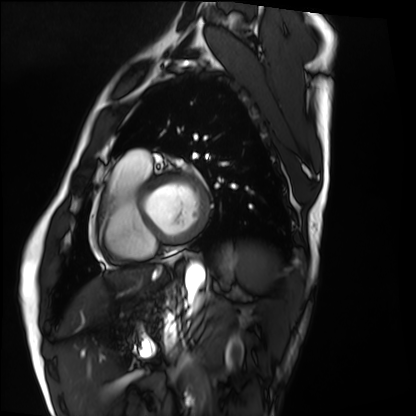
Case:
– modality — cardiac MRI
– subject group — healthy volunteer